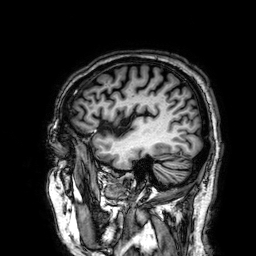
3 Tesla brain MRI. Series: 3D T1-weighted. Study: ring-enhancing brain masses.